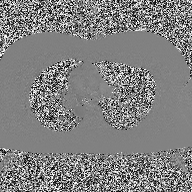
modality: 2D phase-contrast cine MRI of the ascending aorta